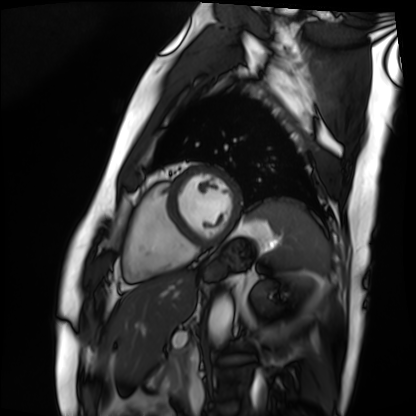
Summary: Cardiac MRI. Subject group: patient.